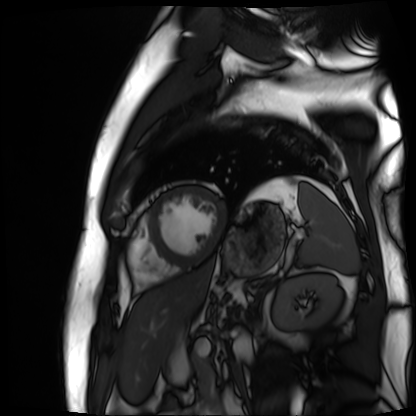
| field | value |
|---|---|
| modality | cardiac MR image of the myocardium |
| subject cohort | cardiac patient |